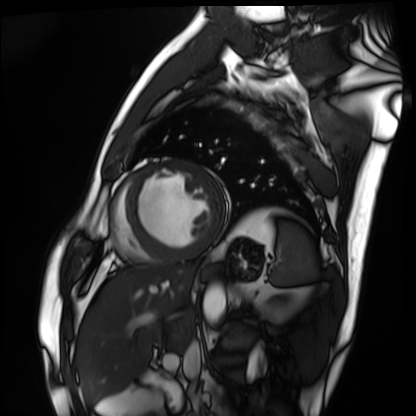
<study>
<modality>cardiac MRI</modality>
<cohort>patient</cohort>
</study>